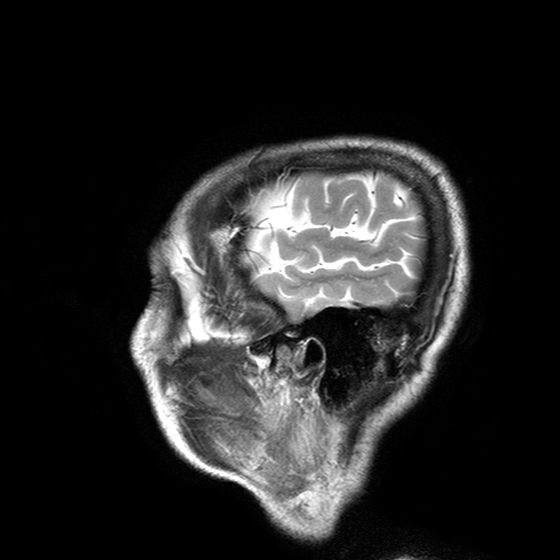
| field | value |
|---|---|
| modality | 3 Tesla brain MRI |
| series | T2-weighted turbo spin echo with SENSE |
| study | ring-enhancing brain masses |